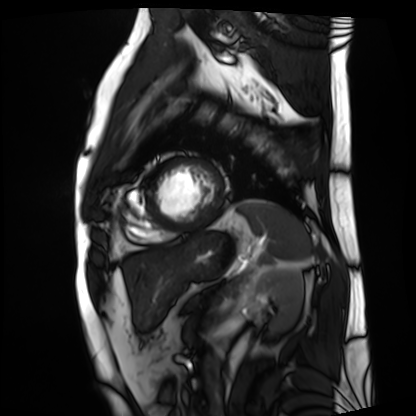
Cardiac MRI.
Subject group: patient.